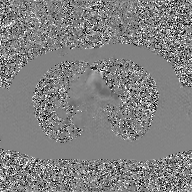
2D phase-contrast cine MRI of the ascending aorta, GAN super-resolution reconstruction.